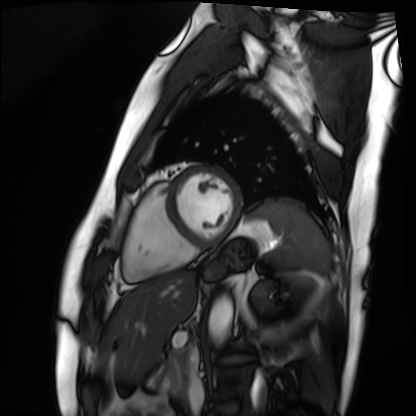
• modality · cardiac MRI
• subject group · patient